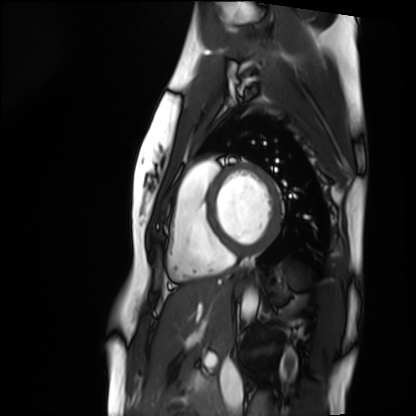
Cardiac MRI.
Subject group: healthy volunteer.